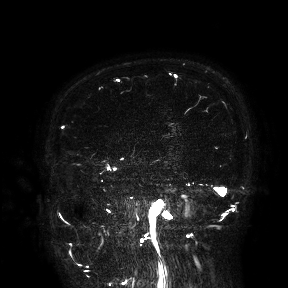
{"modality": {"type": "brain MRI", "field_strength": "3T"}, "study_topic": "ring-enhancing brain masses"}